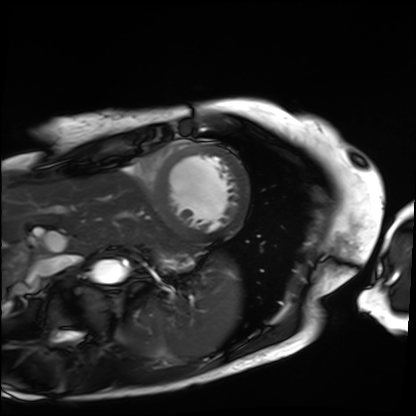
Q: What kind of scan is this?
A: Cardiac MRI.
Subject group: patient.